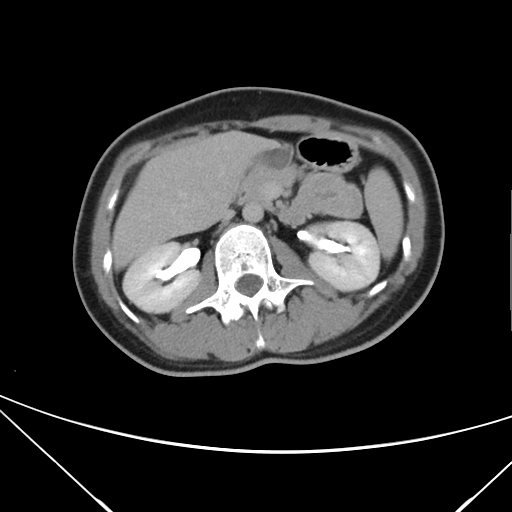
Clinical context:
Multiphase abdominal CT, liver, delayed phase. Patient: female, age 39.